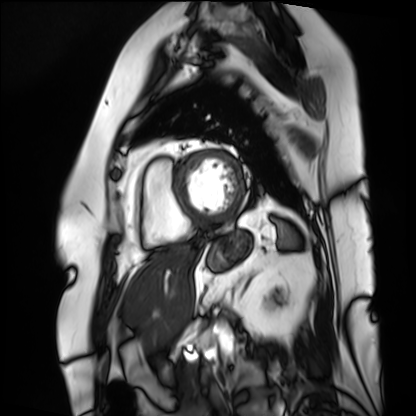
Q: What kind of scan is this?
A: Cardiac MRI.
Subject group: patient.